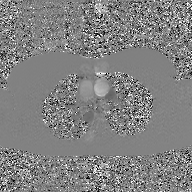
2D phase-contrast cine MRI of the ascending aorta, GAN super-resolution reconstruction.